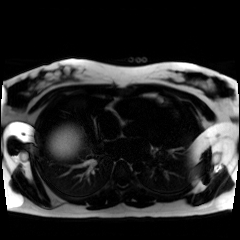
modality: chemical-shift-encoded cardiac MRI